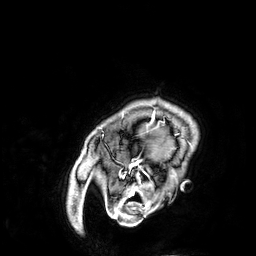
Clinical context: 3 Tesla brain MRI. Series: 3D T1-weighted. Study: ring-enhancing brain masses.